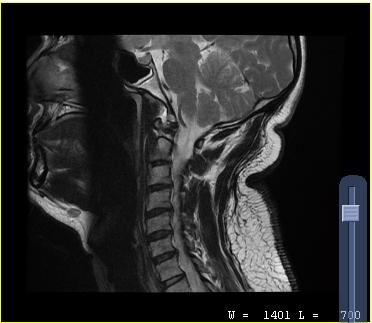
Q: What kind of scan is this?
A: MRI of the cervical spine.
Study: cervical spondylosis.